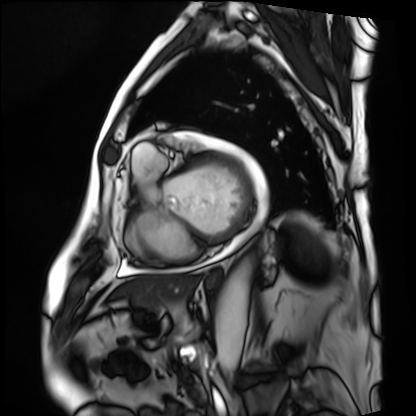
Cardiac MRI. Subject group: patient.